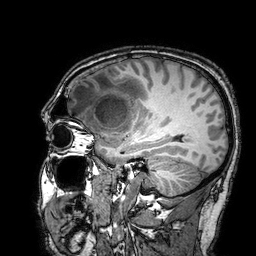
<study>
<modality>
  <type>brain MRI</type>
  <field_strength>3T</field_strength>
</modality>
<series>3D T1-weighted turbo field echo with SENSE</series>
<study_topic>ring-enhancing brain masses</study_topic>
</study>